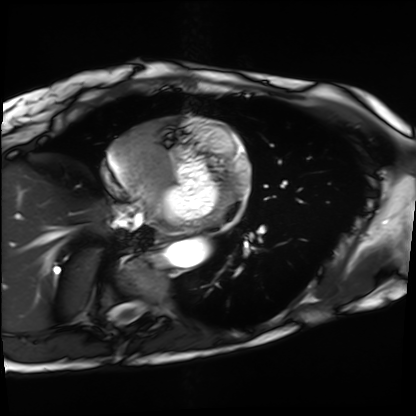
{
  "modality": "cardiac MRI",
  "cohort": "patient"
}